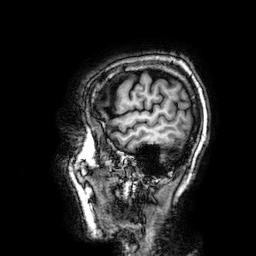
Q: What kind of scan is this?
A: 3 Tesla brain MRI.
Q: Series?
A: 3D T1-weighted.
Study: ring-enhancing brain masses.